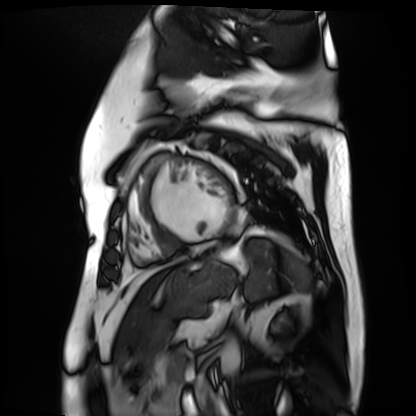
Summary:
Cardiac MR image of the myocardium. Subject cohort: cardiac patient.